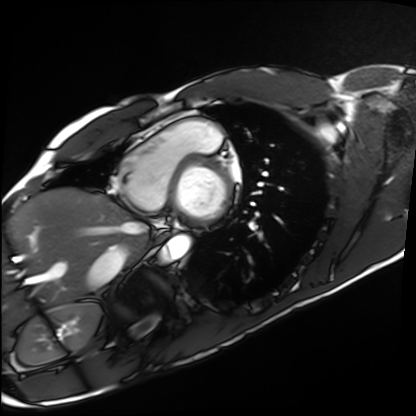
Cardiac MRI. Subject group: healthy volunteer.